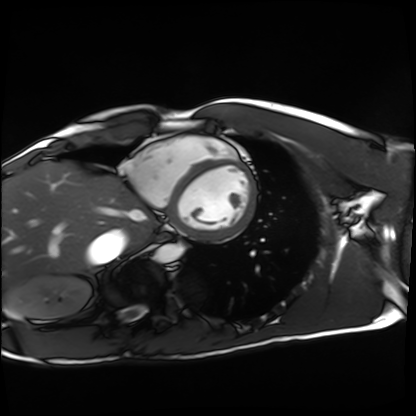
Cardiac MRI. Subject group: healthy volunteer.